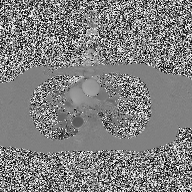
modality — 2D phase-contrast cine MRI of the ascending aorta